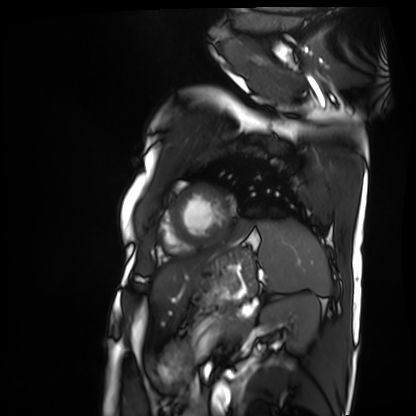
Case summary:
Cardiac MRI. Subject group: patient.